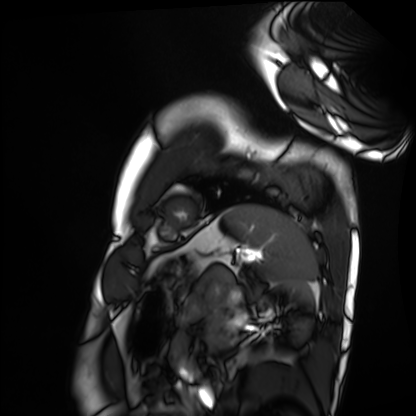
Case:
• modality · cardiac MRI
• subject group · healthy volunteer